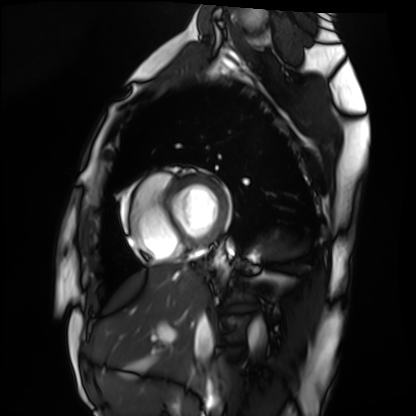
modality=cardiac MRI; subject group=healthy volunteer.